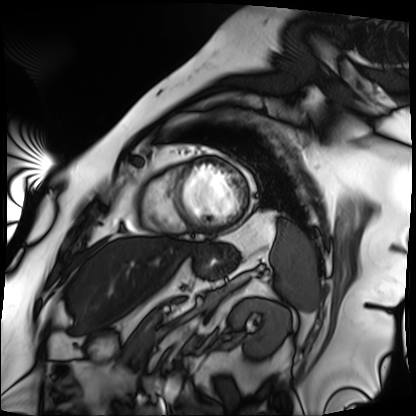
Cardiac MRI. Subject group: patient.